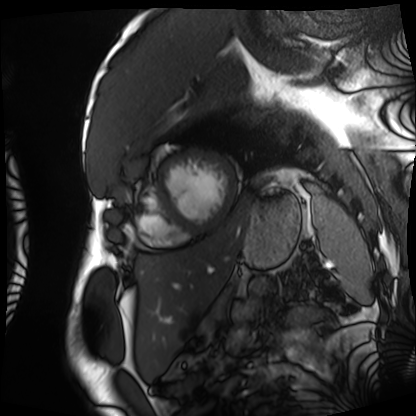
Cardiac MRI.
Subject group: patient.